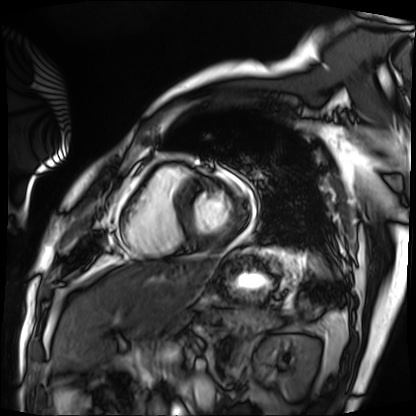
Cardiac MRI. Subject group: patient.